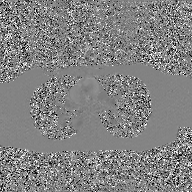
Case:
- modality — 2D phase-contrast cine MRI of the ascending aorta, GAN super-resolution reconstruction